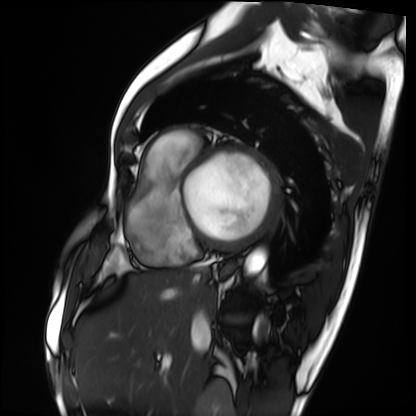
Cardiac MRI. Subject group: patient.